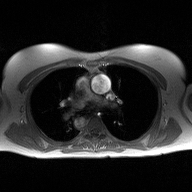
2D phase-contrast cine MRI of the ascending aorta, high-resolution GRAPPA acquisition.